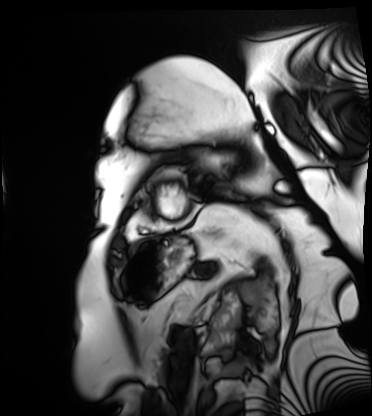
modality: cardiac MRI; subject group: patient.